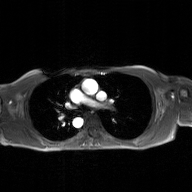
modality: 2D phase-contrast cine MRI of the ascending aorta, GAN super-resolution reconstruction.